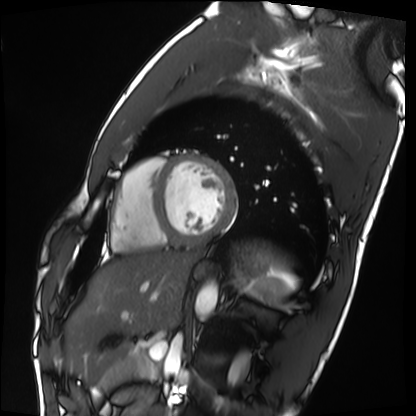
<case>
  <modality>cardiac MRI</modality>
  <cohort>healthy volunteer</cohort>
</case>